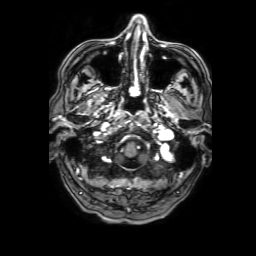
Summary:
3 Tesla brain MRI. Series: 3D T1-weighted with SENSE. Study: ring-enhancing brain masses.